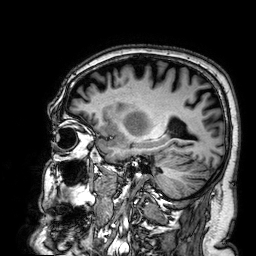
3 Tesla brain MRI.
Series: 3D T1-weighted.
Study: ring-enhancing brain masses.